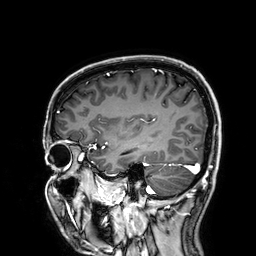
modality = 3 Tesla brain MRI | series = 3D T1-weighted | study = ring-enhancing brain masses.